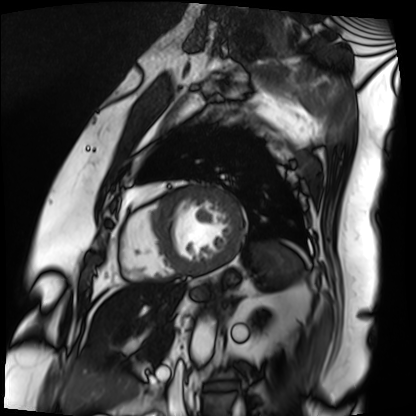
Cardiac MRI. Subject group: patient.